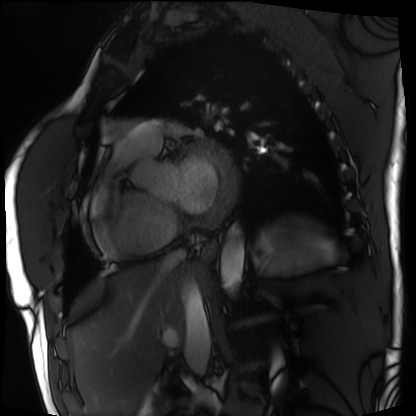
Cardiac MRI. Subject group: patient.